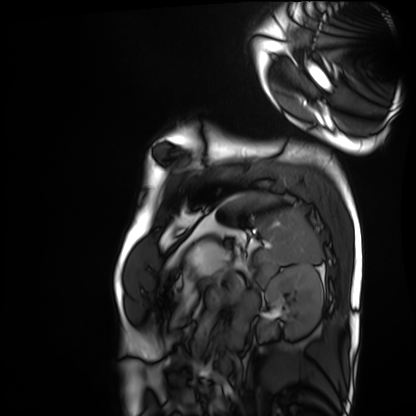
Cardiac MRI.
Subject group: healthy volunteer.